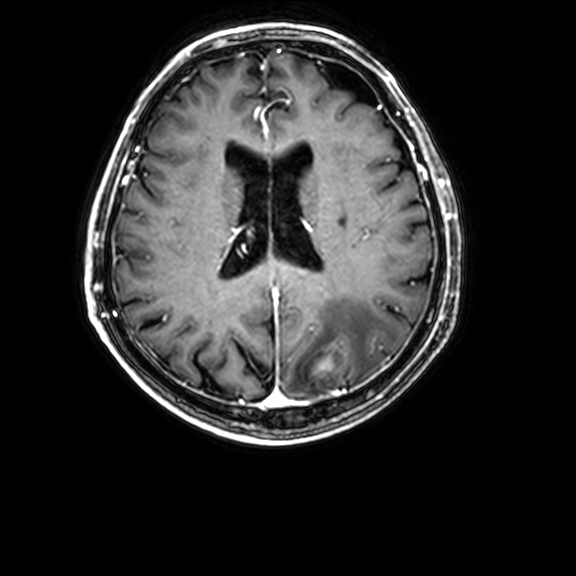
Summary:
3 Tesla brain MRI. Series: 3D T1-weighted with CLEAR. Study: ring-enhancing brain masses.